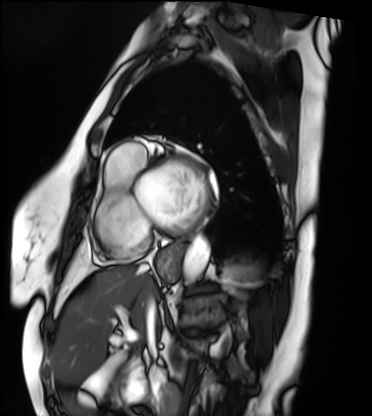
Case:
- modality: cardiac MRI
- subject group: patient